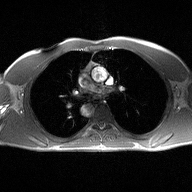
– modality — 2D phase-contrast cine MRI of the ascending aorta